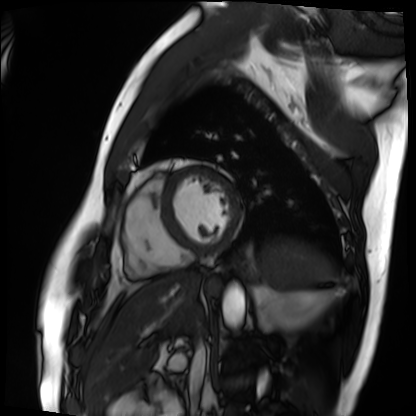
{"modality": "cardiac MRI", "cohort": "patient"}